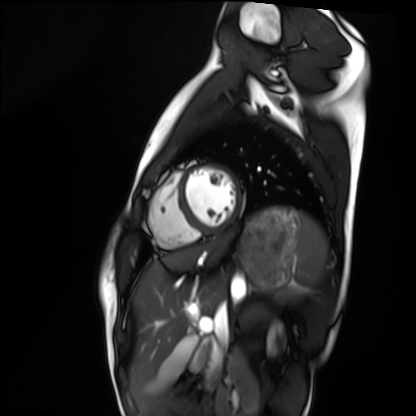
Case:
– modality · cardiac MRI
– subject group · healthy volunteer